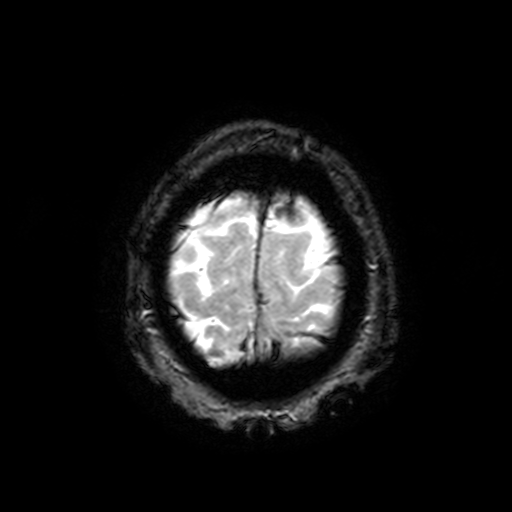
modality = 3 Tesla brain MRI; series = T2-weighted fast field echo with SENSE; study = ring-enhancing brain masses.